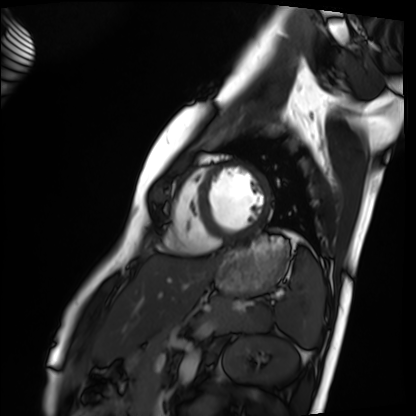
Cardiac MRI. Subject group: healthy volunteer.